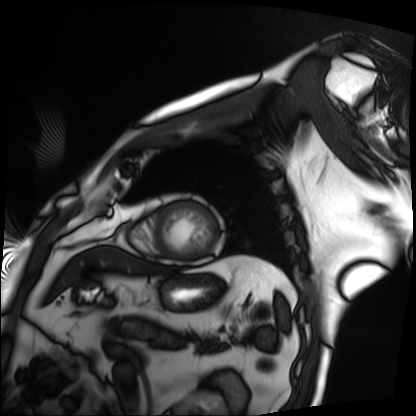
  modality: cardiac MRI
  cohort: patient